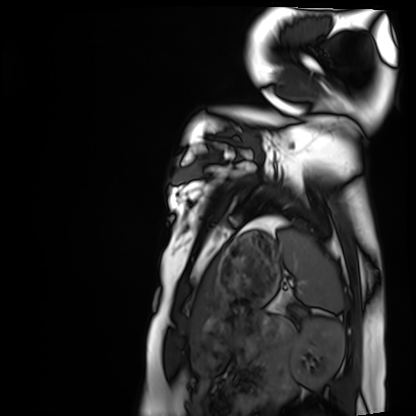
Case summary: Cardiac MRI. Subject group: healthy volunteer.